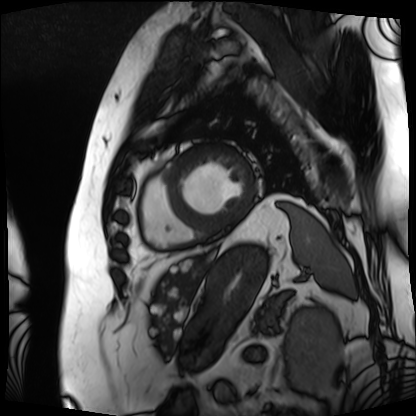
Case summary: Cardiac MRI. Subject group: patient.